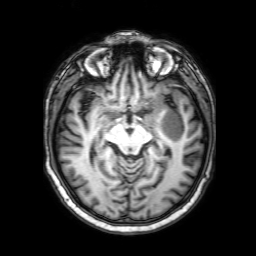
3 Tesla brain MRI. Series: 3D T1-weighted with SENSE. Study: ring-enhancing brain masses.